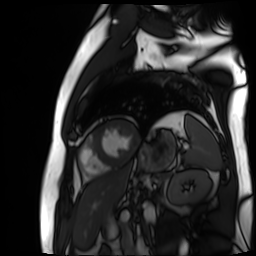
Q: What kind of scan is this?
A: Cardiac MR image of the myocardium.
Subject cohort: cardiac patient.